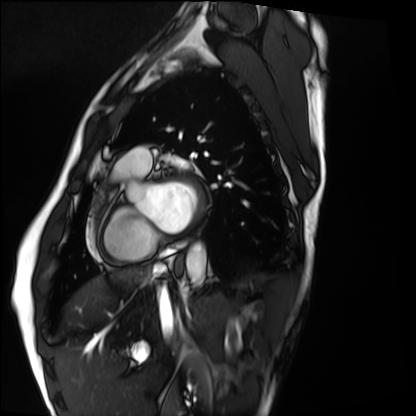
modality: cardiac MRI | subject group: healthy volunteer.